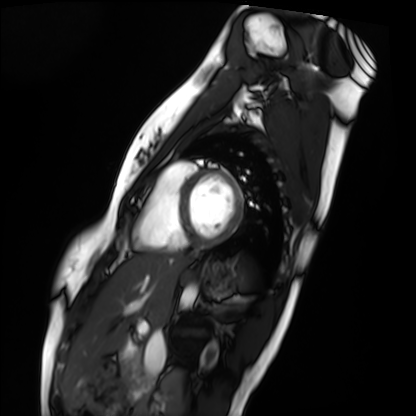
- modality: cardiac MRI
- subject group: healthy volunteer